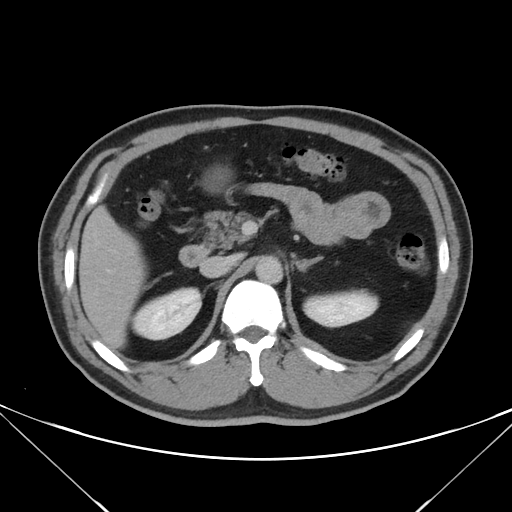
Multiphase abdominal CT, liver, delayed phase. Patient: male, age 50.